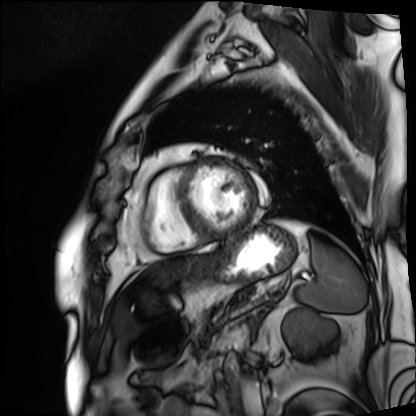
Cardiac MRI. Subject group: patient.